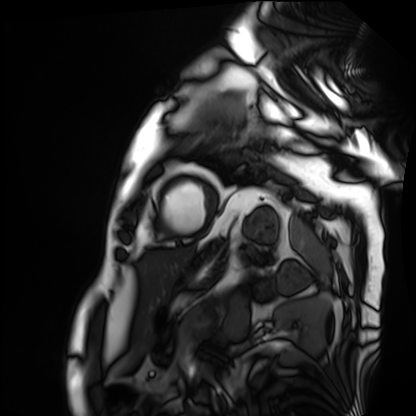
Case summary:
Cardiac MRI. Subject group: patient.